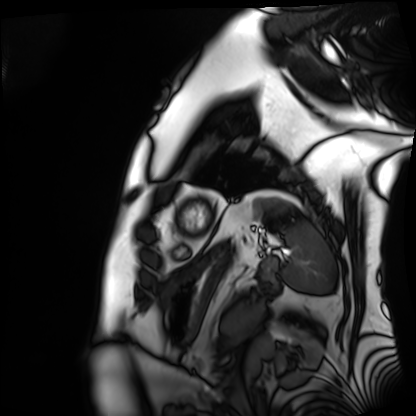
Cardiac MRI. Subject group: patient.